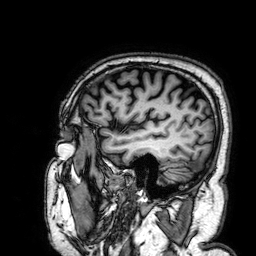
<scan>
  <modality>
    <type>brain MRI</type>
    <field_strength>3T</field_strength>
  </modality>
  <series>3D T1-weighted</series>
  <study_topic>ring-enhancing brain masses</study_topic>
</scan>